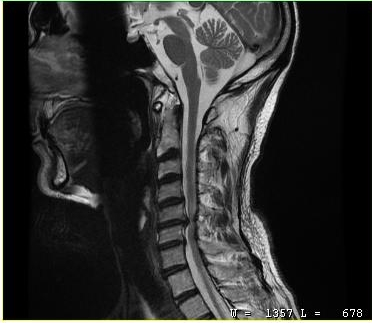
Q: What kind of scan is this?
A: MRI of the cervical spine.
Study: cervical spondylosis.